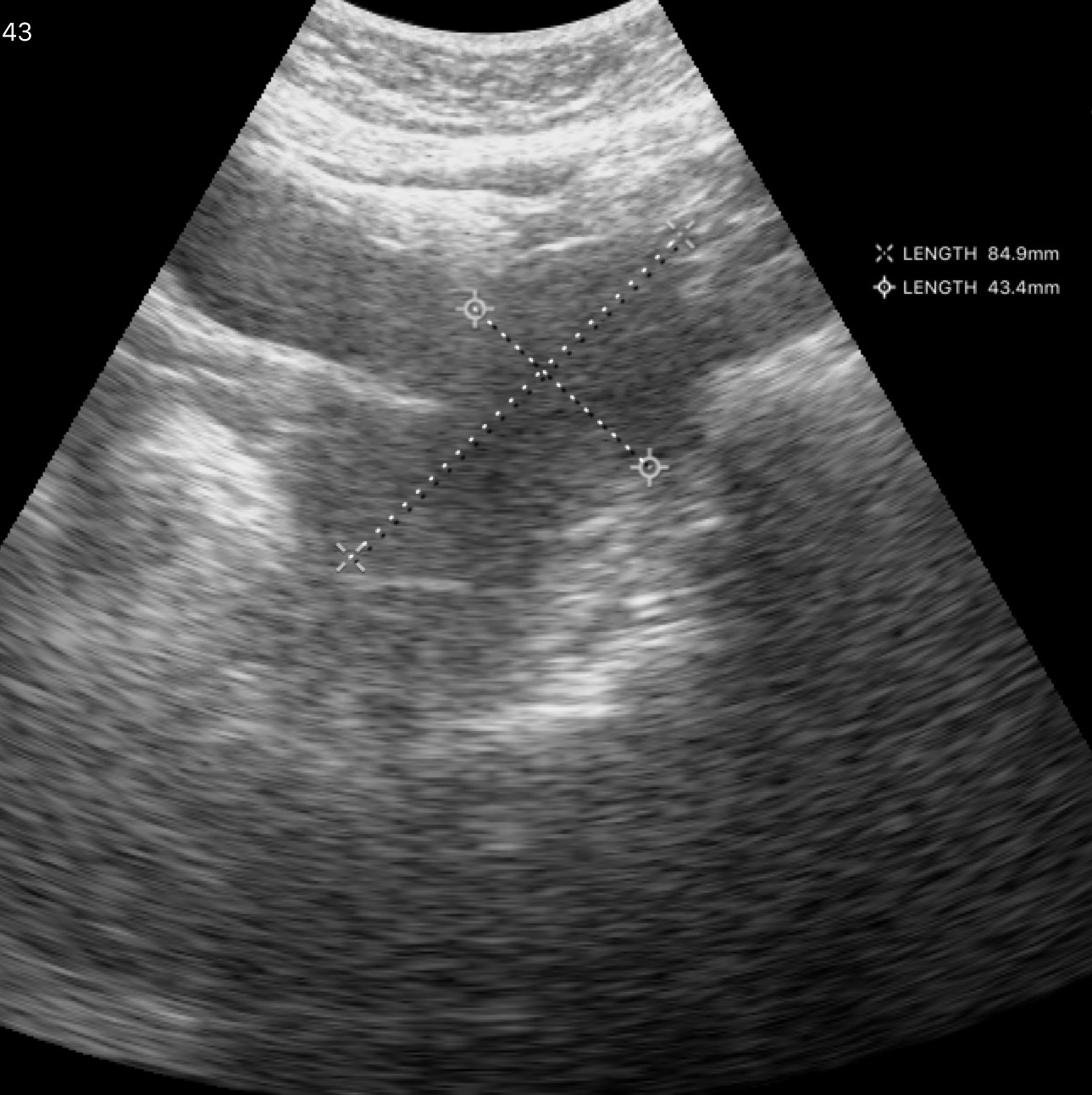
Genitourinary ultrasound.